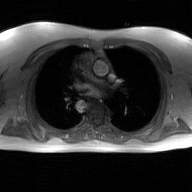
2D phase-contrast cine MRI of the ascending aorta, GAN super-resolution reconstruction.